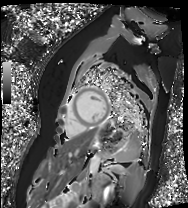
Cardiac MR image of the myocardium.
Subject cohort: healthy volunteer.